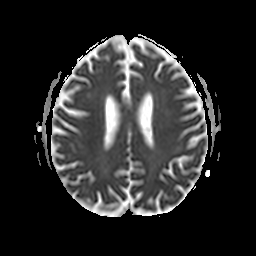
3 Tesla brain MRI.
Series: apparent diffusion coefficient (ADC) map.
Study: ring-enhancing brain masses.